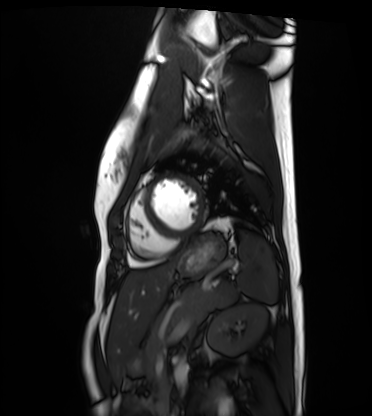
Q: What kind of scan is this?
A: Cardiac MRI.
Subject group: healthy volunteer.